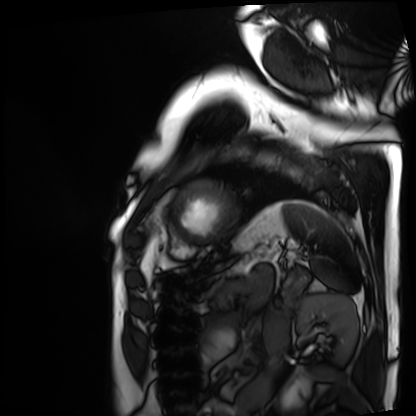
Cardiac MRI. Subject group: patient.